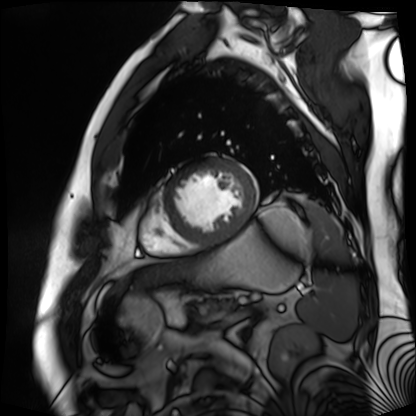
Q: What kind of scan is this?
A: Cardiac MR image of the myocardium.
Subject cohort: cardiac patient.